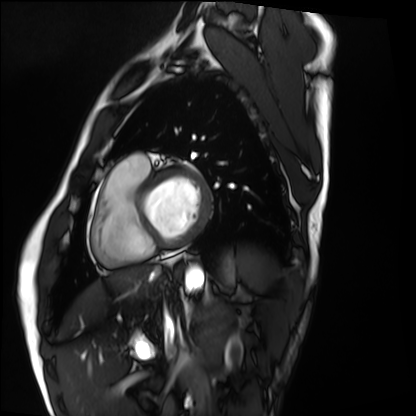
{
  "modality": "cardiac MRI",
  "cohort": "healthy volunteer"
}